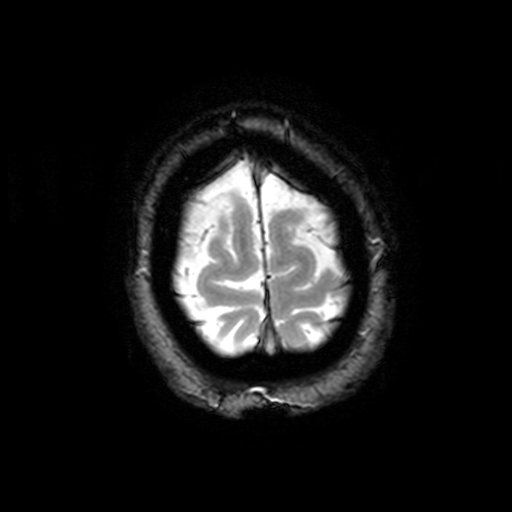
Summary: 3 Tesla brain MRI. Series: T2-weighted fast field echo with SENSE. Study: ring-enhancing brain masses.